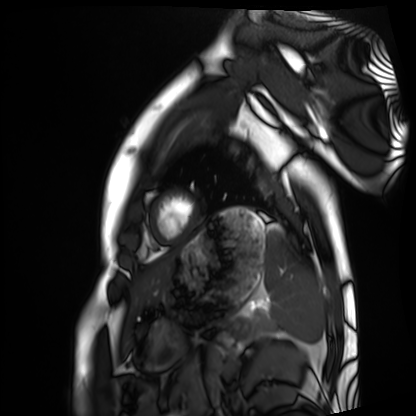
modality = cardiac MRI; subject group = healthy volunteer.